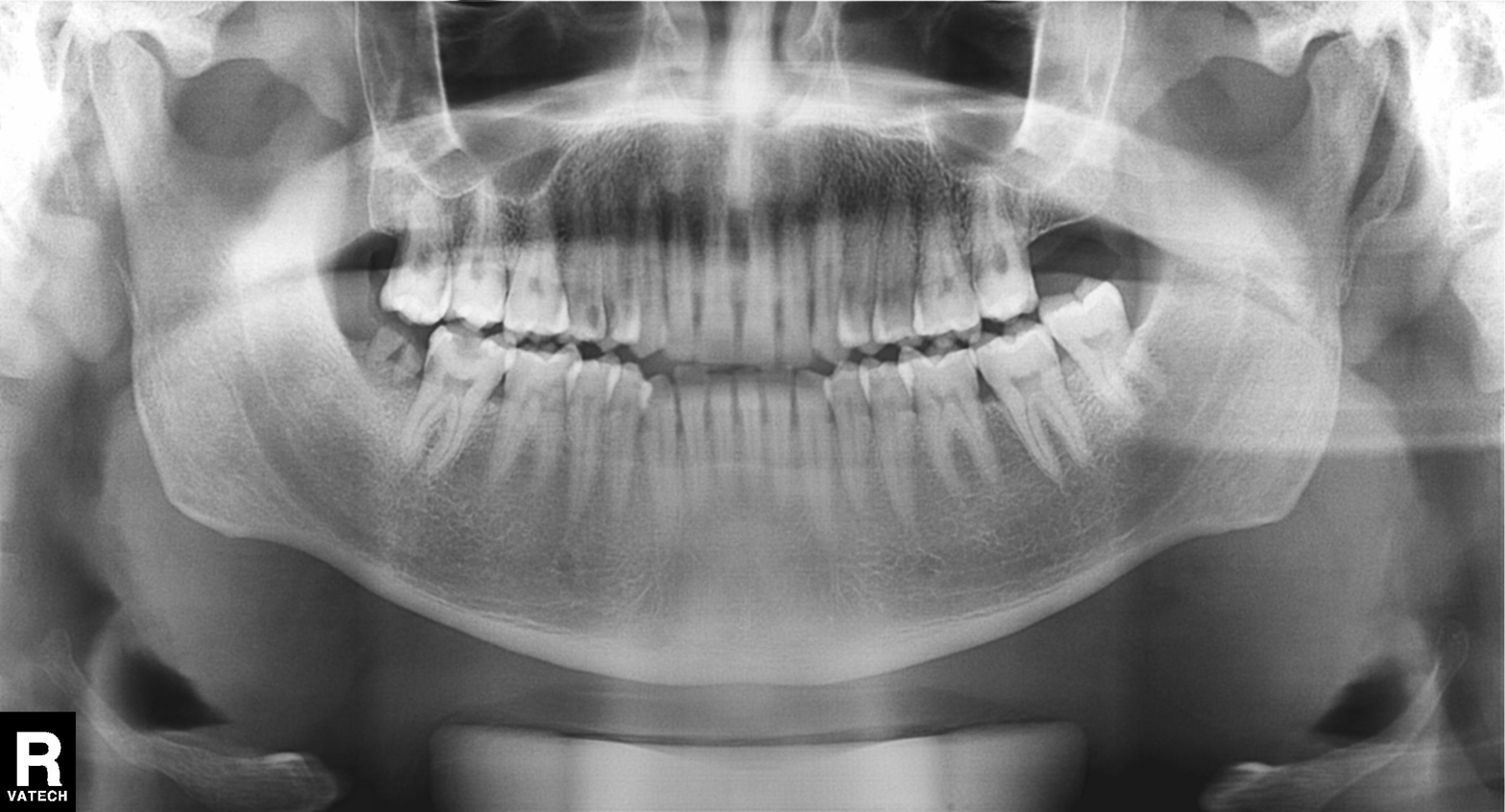
Panoramic dental radiograph (orthopantomogram). Finding: alveolar bone loss.